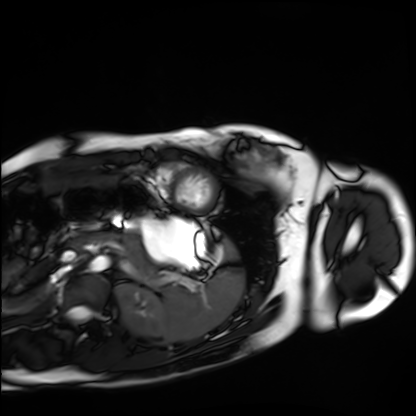
Cardiac MRI.
Subject group: healthy volunteer.